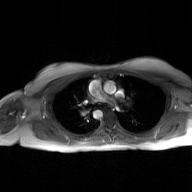
Q: What kind of scan is this?
A: 2D phase-contrast cine MRI of the ascending aorta, GAN super-resolution reconstruction.